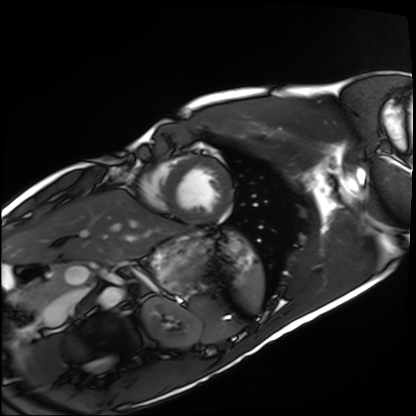
{"modality": "cardiac MRI", "cohort": "healthy volunteer"}